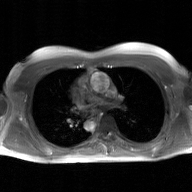
modality: 2D phase-contrast cine MRI of the ascending aorta, GAN super-resolution reconstruction